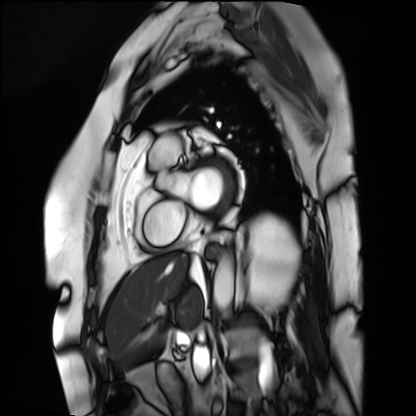
Cardiac MRI.
Subject group: patient.